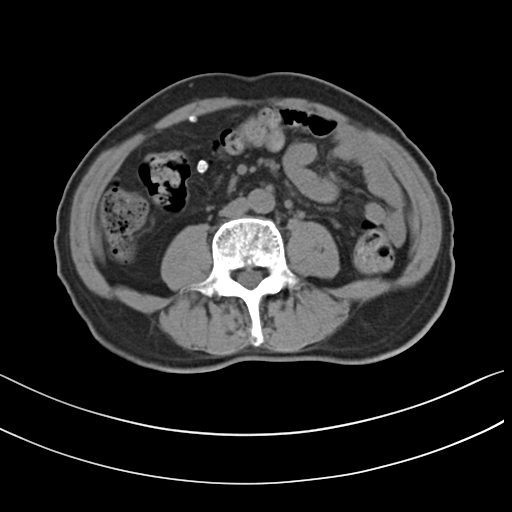
Q: What kind of scan is this?
A: Multiphase abdominal CT, liver, non-contrast phase.
Q: Patient?
A: Male, age 72.
Q: History?
A: Prior chemotherapy.